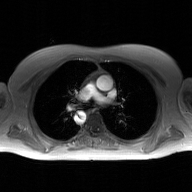
- modality · 2D phase-contrast cine MRI of the ascending aorta, GAN super-resolution reconstruction